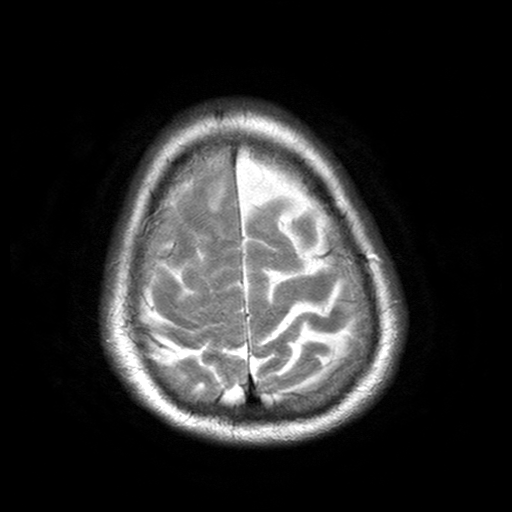
3 Tesla brain MRI. Series: T2-weighted turbo spin echo with SENSE. Study: ring-enhancing brain masses.